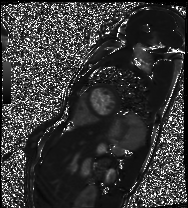
Summary: Cardiac MRI. Subject group: patient.